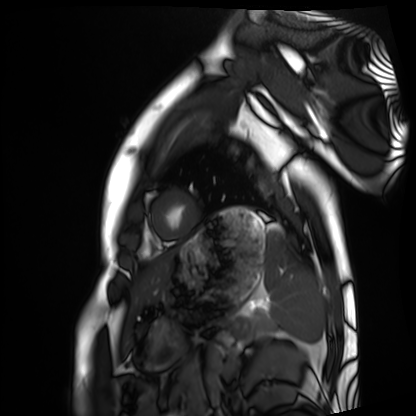
modality = cardiac MRI, subject group = healthy volunteer.